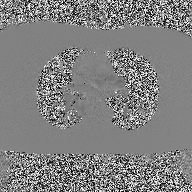
2D phase-contrast cine MRI of the ascending aorta, high-resolution GRAPPA acquisition.